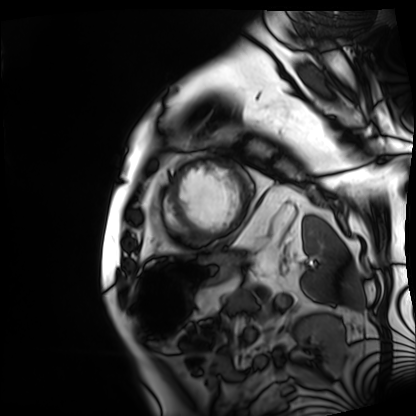
Cardiac MRI. Subject group: patient.